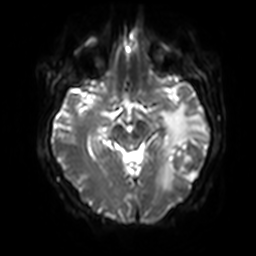
Summary:
3 Tesla brain MRI. Series: diffusion-weighted imaging with SENSE (WIP). Study: ring-enhancing brain masses.